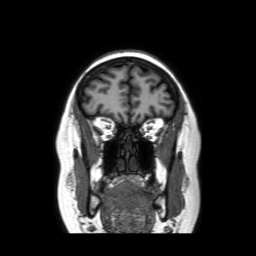
modality = 3 Tesla brain MRI | series = coronal without contrast | study = ring-enhancing brain masses.